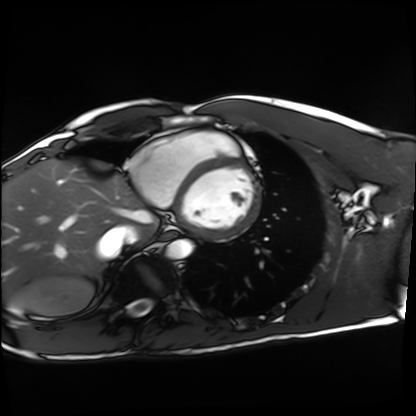
Case summary:
Cardiac MRI. Subject group: healthy volunteer.